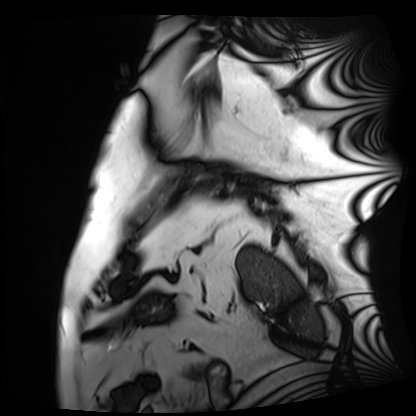
<case>
  <modality>cardiac MRI</modality>
  <cohort>patient</cohort>
</case>